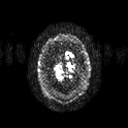
3 Tesla brain MRI.
Series: diffusion tensor imaging (medium iso).
Study: ring-enhancing brain masses.